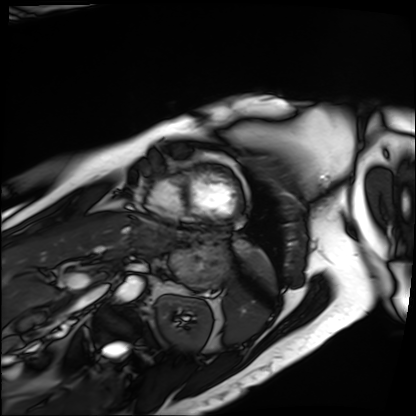
{
  "modality": "cardiac MRI",
  "cohort": "patient"
}